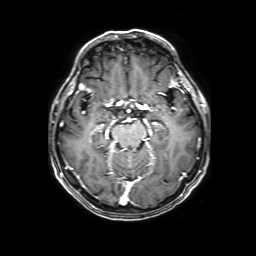
3 Tesla brain MRI. Series: 3D T1-weighted with SENSE. Study: ring-enhancing brain masses.